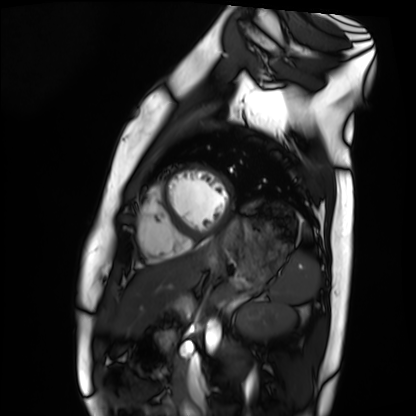
modality — cardiac MRI
subject group — healthy volunteer